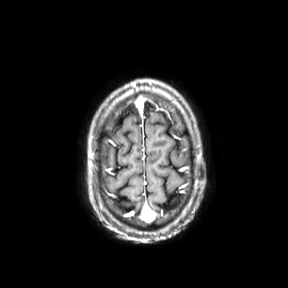
Case:
* modality: 3 Tesla brain MRI
* series: axial
* study: ring-enhancing brain masses